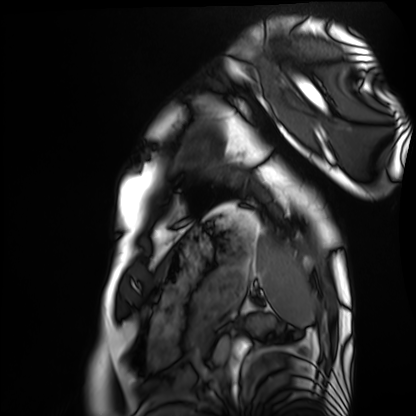
<record>
<modality>cardiac MRI</modality>
<cohort>healthy volunteer</cohort>
</record>